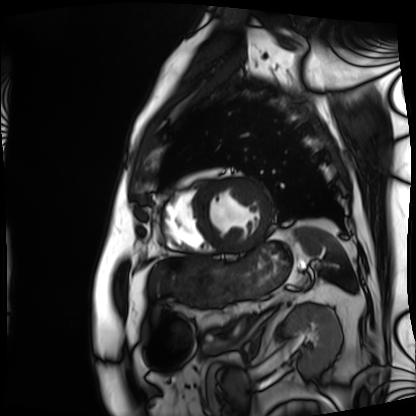
Cardiac MRI.
Subject group: patient.